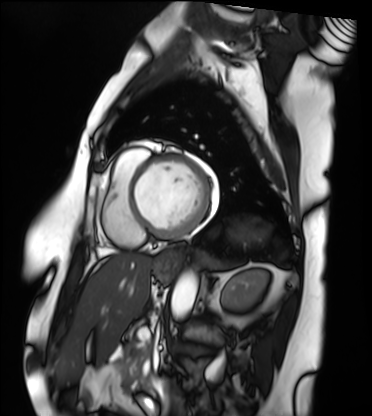
- modality — cardiac MRI
- subject group — patient